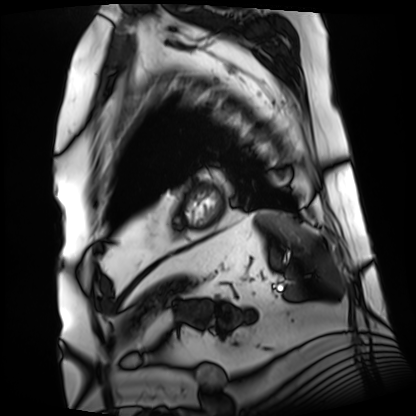
Cardiac MRI. Subject group: patient.